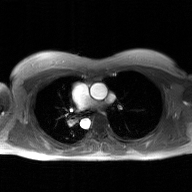
modality:
  type: 2D phase-contrast cine MRI
  region: ascending aorta
  reconstruction: GAN super-resolution reconstruction